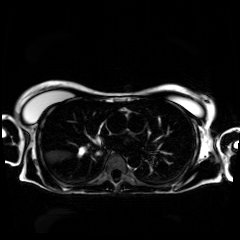
<record>
<modality>chemical-shift-encoded cardiac MRI</modality>
</record>